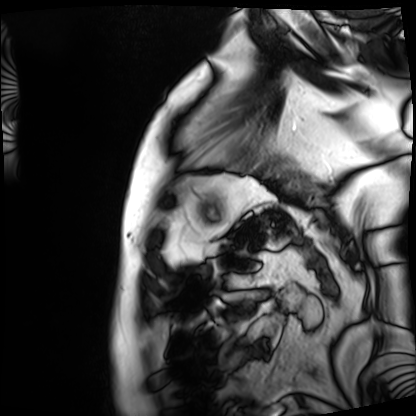
Cardiac MRI.
Subject group: patient.